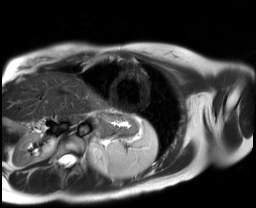
Case:
– modality · cardiac MR image of the myocardium
– subject cohort · healthy volunteer